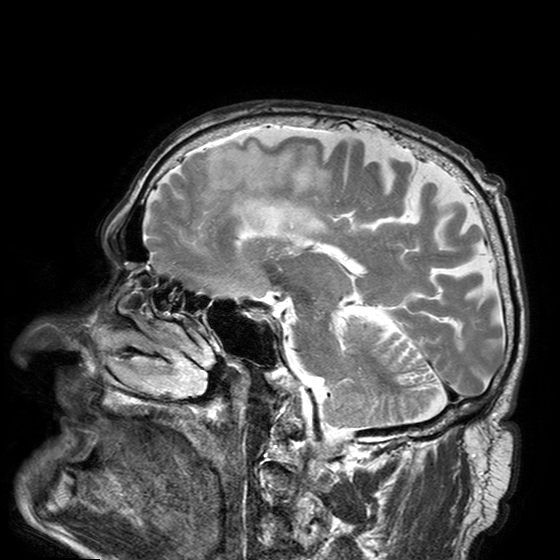
  modality:
    type: brain MRI
    field_strength: 3T
  series: T2-weighted turbo spin echo with SENSE
  study_topic: ring-enhancing brain masses